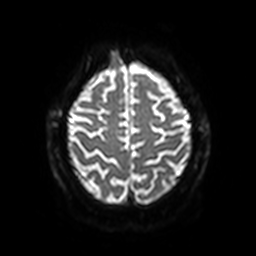
• modality: 3 Tesla brain MRI
• study: ring-enhancing brain masses